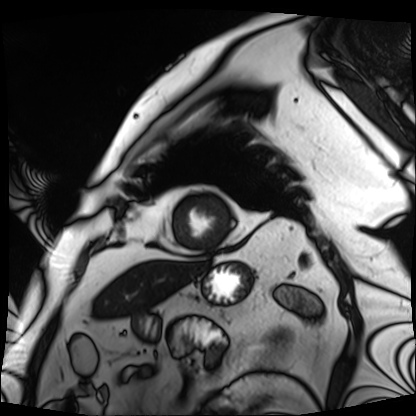
- modality — cardiac MRI
- subject group — patient